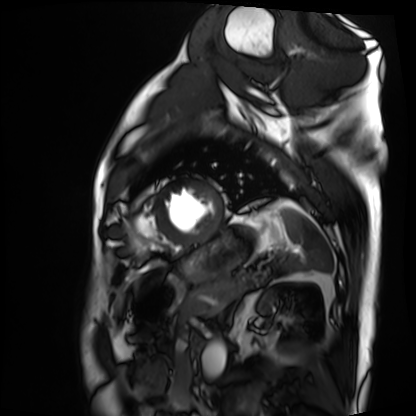
Cardiac MRI.
Subject group: patient.